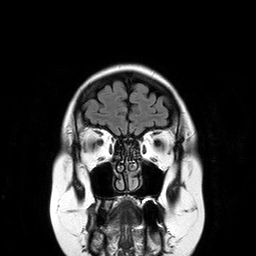
Case summary:
3 Tesla brain MRI. Series: T2-weighted FLAIR. Study: ring-enhancing brain masses.